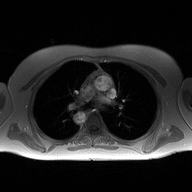
Clinical context: 2D phase-contrast cine MRI of the ascending aorta, high-resolution GRAPPA acquisition.